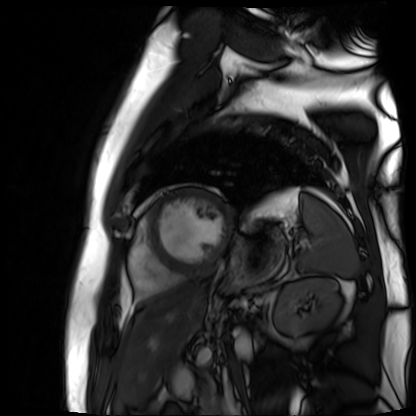
Cardiac MR image of the myocardium.
Subject cohort: cardiac patient.